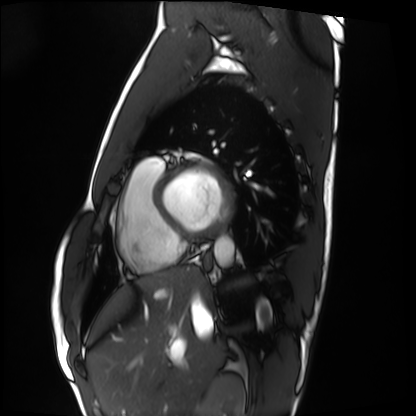
Cardiac MRI. Subject group: healthy volunteer.